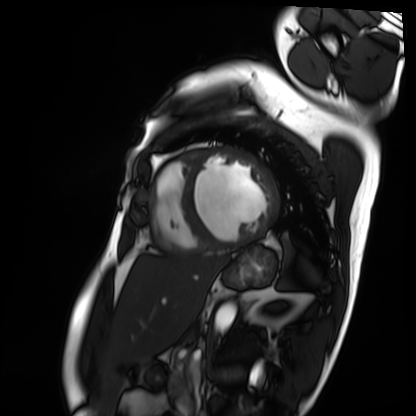
Cardiac MRI.
Subject group: patient.